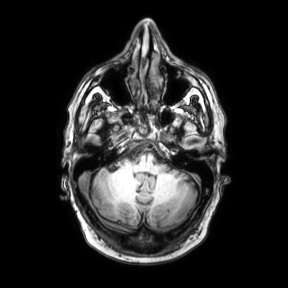
modality = 3 Tesla brain MRI; series = axial; study = ring-enhancing brain masses.